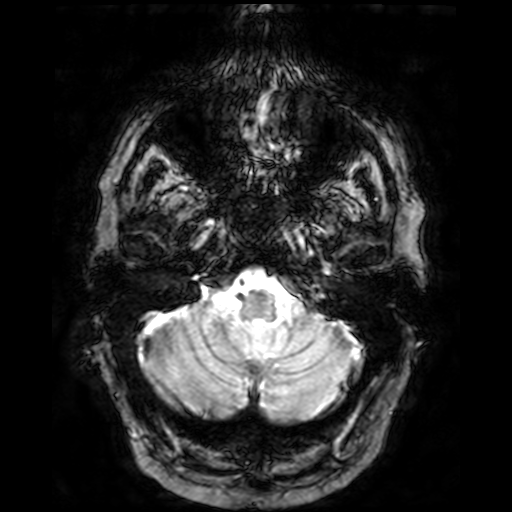
3 Tesla brain MRI.
Series: T2-weighted fast field echo.
Study: ring-enhancing brain masses.